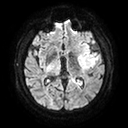
Clinical context: 3 Tesla brain MRI. Series: diffusion tensor imaging (medium iso). Study: ring-enhancing brain masses.